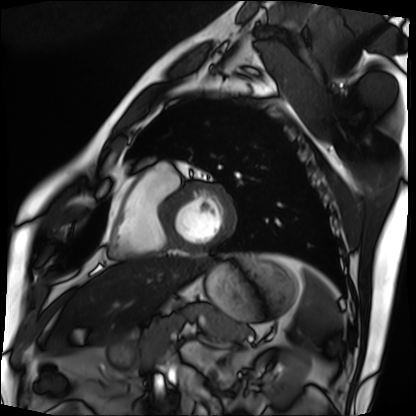
Cardiac MRI.
Subject group: patient.